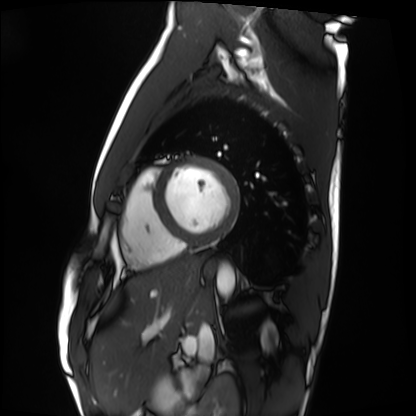
Cardiac MRI.
Subject group: healthy volunteer.